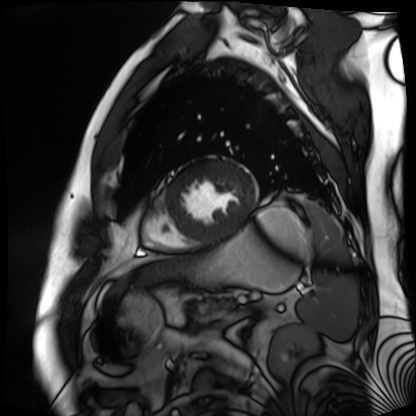
Cardiac MR image of the myocardium.
Subject cohort: cardiac patient.